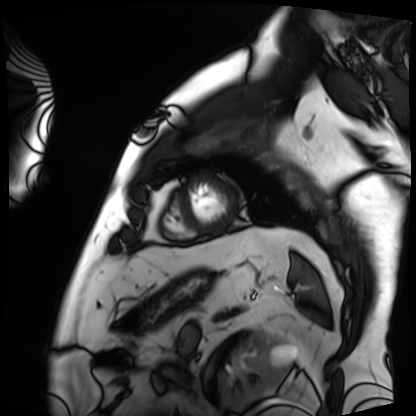
Case:
* modality: cardiac MRI
* subject group: patient